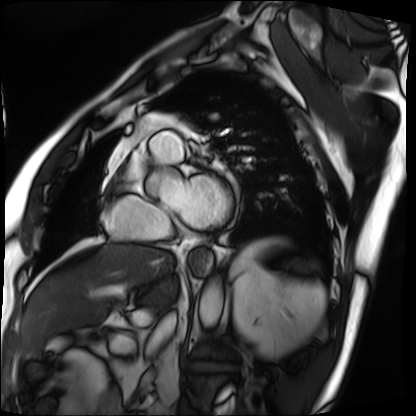
Q: What kind of scan is this?
A: Cardiac MRI.
Subject group: patient.